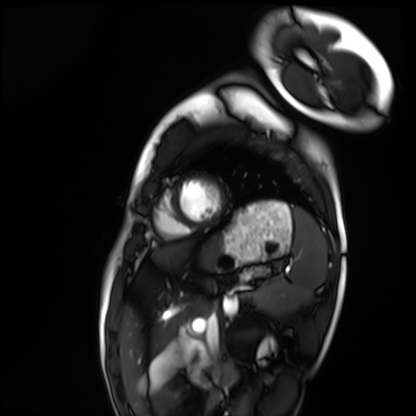
modality: cardiac MRI
subject group: healthy volunteer